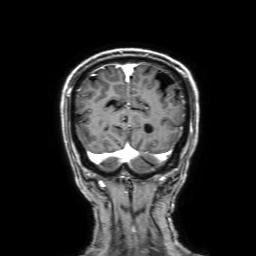
Q: What kind of scan is this?
A: 3 Tesla brain MRI.
Q: Series?
A: 3D T1-weighted with SENSE.
Study: ring-enhancing brain masses.